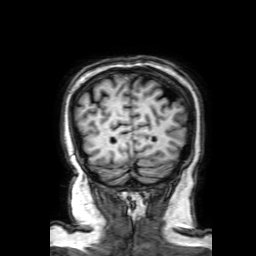
3 Tesla brain MRI. Series: 3D T1-weighted with SENSE. Study: ring-enhancing brain masses.